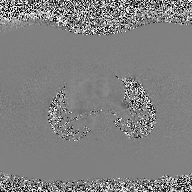
modality: 2D phase-contrast cine MRI of the ascending aorta.